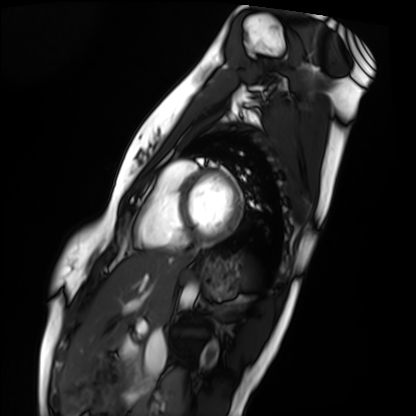
Cardiac MRI. Subject group: healthy volunteer.